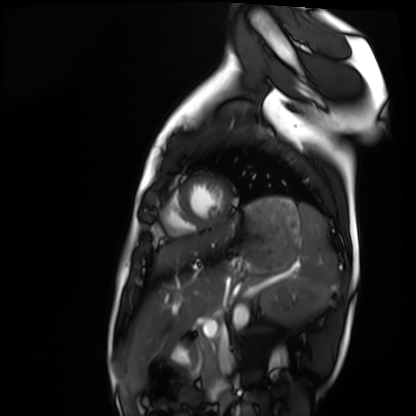
Cardiac MRI.
Subject group: healthy volunteer.